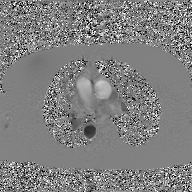
2D phase-contrast cine MRI of the ascending aorta, GAN super-resolution reconstruction.